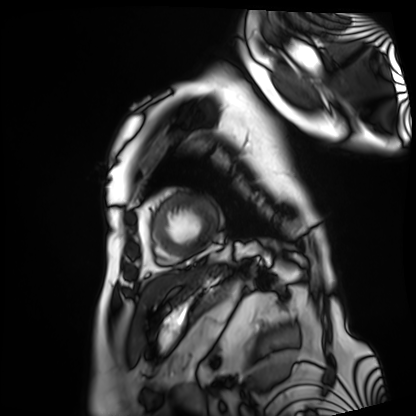
{"modality": "cardiac MRI", "cohort": "patient"}